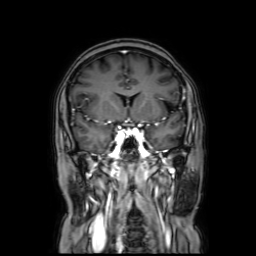
• modality — 3 Tesla brain MRI
• series — coronal with contrast
• study — ring-enhancing brain masses